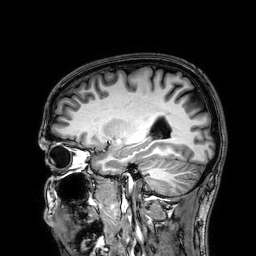
Clinical context: 3 Tesla brain MRI. Series: 3D T1-weighted. Study: ring-enhancing brain masses.